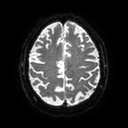
Clinical context: 3 Tesla brain MRI. Series: diffusion tensor imaging (medium iso). Study: ring-enhancing brain masses.